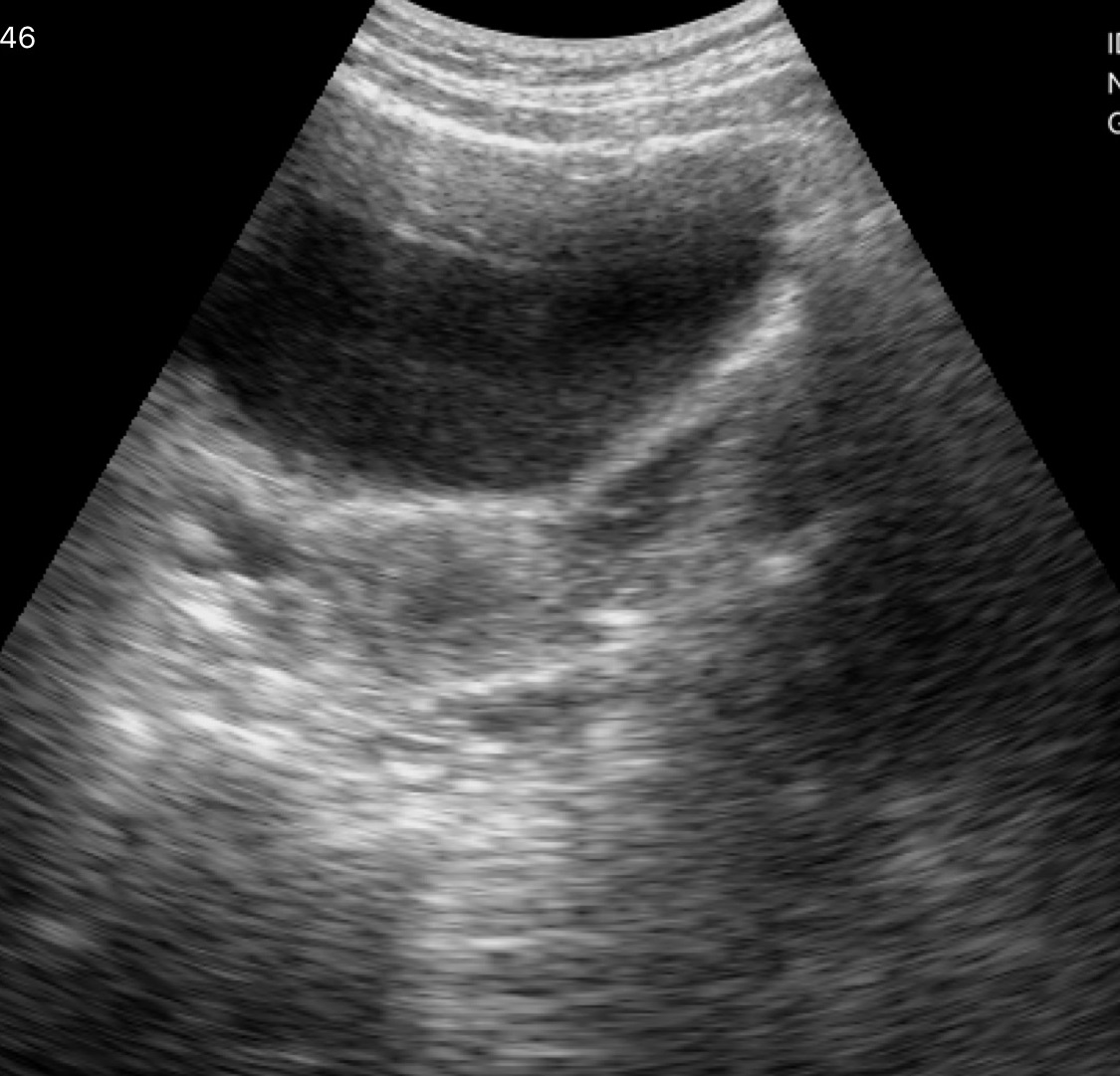
modality: genitourinary ultrasound.